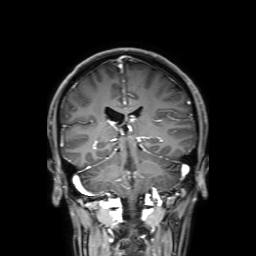
3 Tesla brain MRI.
Series: 3D T1-weighted with SENSE.
Study: ring-enhancing brain masses.